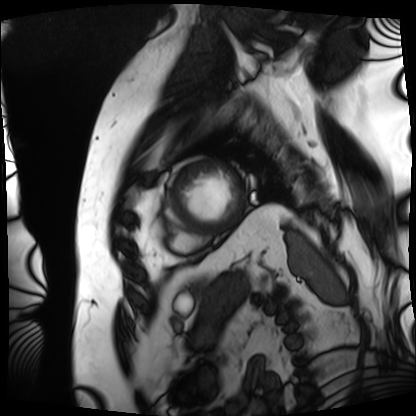
Clinical context: Cardiac MRI. Subject group: patient.